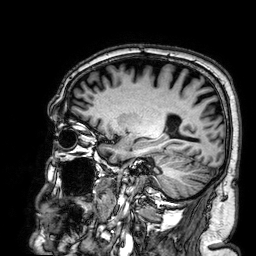
{"modality": {"type": "brain MRI", "field_strength": "3T"}, "series": "3D T1-weighted", "study_topic": "ring-enhancing brain masses"}